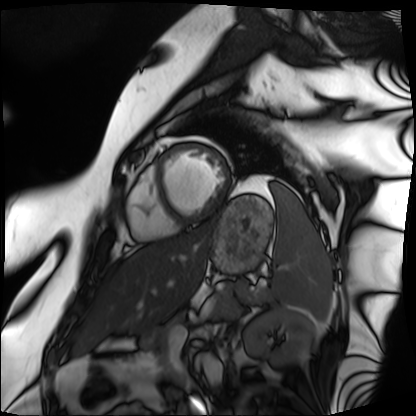
Summary: Cardiac MRI. Subject group: patient.